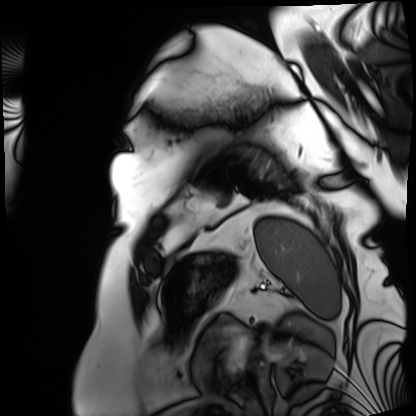
Summary: Cardiac MRI. Subject group: patient.